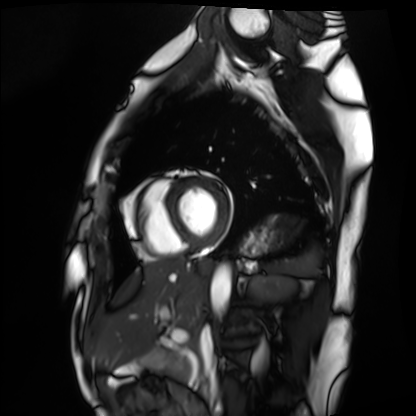
Case:
* modality · cardiac MRI
* subject group · healthy volunteer